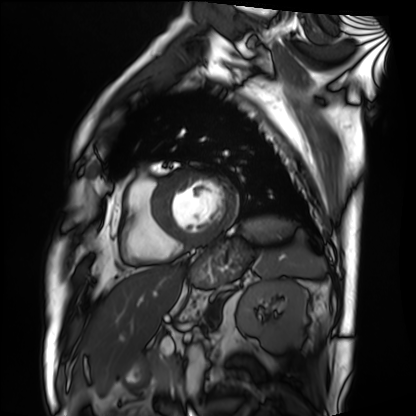
Cardiac MRI. Subject group: patient.